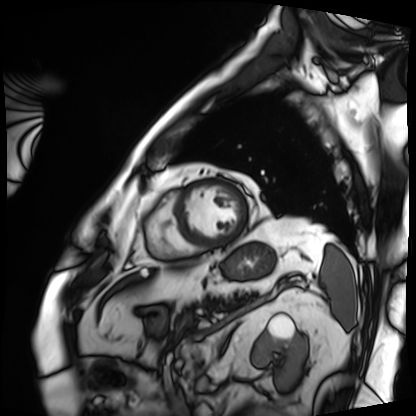
modality: cardiac MRI
cohort: patient